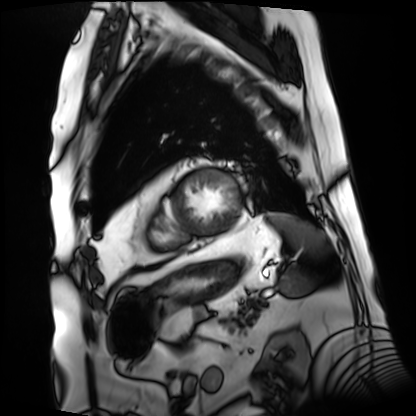
Cardiac MRI.
Subject group: patient.